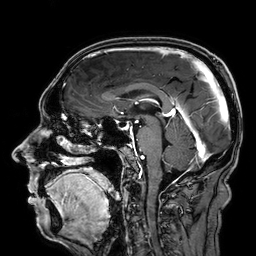
| field | value |
|---|---|
| modality | 3 Tesla brain MRI |
| study | ring-enhancing brain masses |